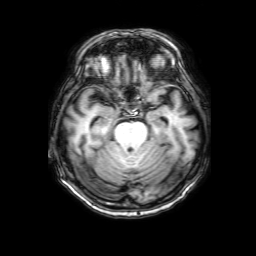
Clinical context: 3 Tesla brain MRI. Series: 3D T1-weighted with SENSE. Study: ring-enhancing brain masses.